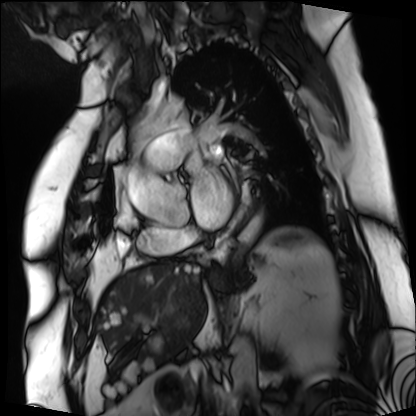
<study>
<modality>cardiac MRI</modality>
<cohort>patient</cohort>
</study>